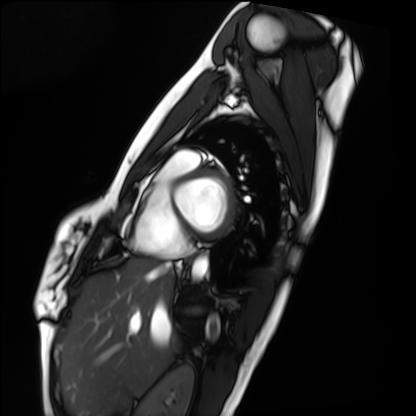
Cardiac MRI.
Subject group: healthy volunteer.